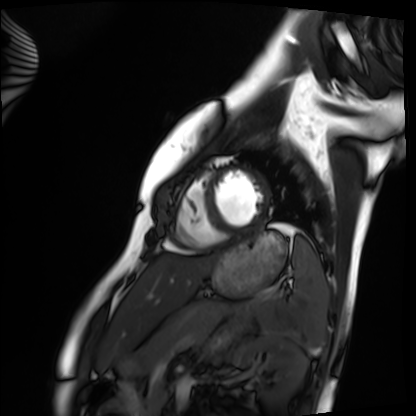
modality = cardiac MRI, subject group = healthy volunteer.